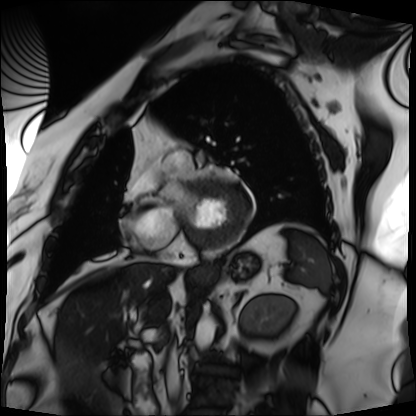
Cardiac MRI. Subject group: patient.